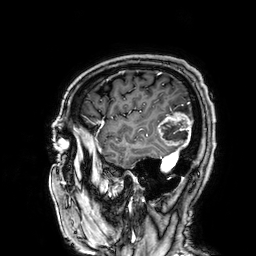
Clinical context: 3 Tesla brain MRI. Series: 3D T1-weighted. Study: ring-enhancing brain masses.